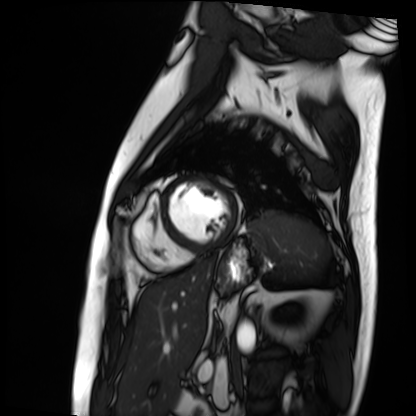
Cardiac MRI.
Subject group: patient.